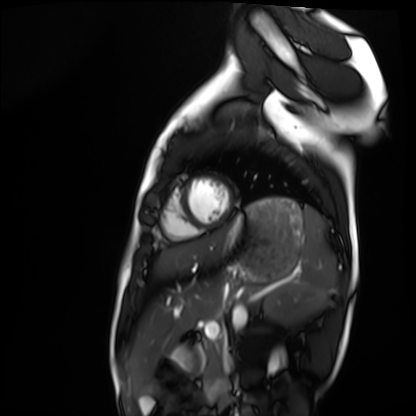
<case>
<modality>cardiac MRI</modality>
<cohort>healthy volunteer</cohort>
</case>